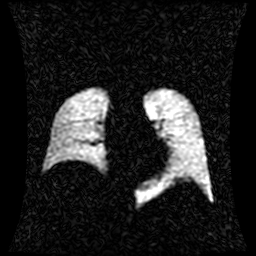
Case:
• modality — hyperpolarized 129Xe ventilation MRI of the lungs